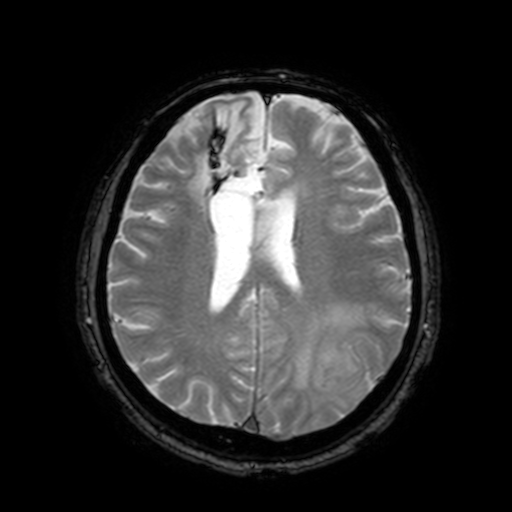
<study>
  <modality>
    <type>brain MRI</type>
    <field_strength>3T</field_strength>
  </modality>
  <study_topic>ring-enhancing brain masses</study_topic>
</study>